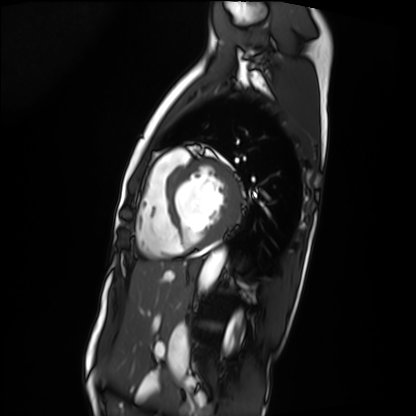
Summary: Cardiac MRI. Subject group: patient.